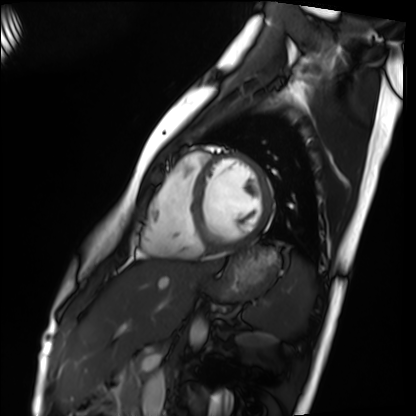
• modality — cardiac MRI
• subject group — healthy volunteer